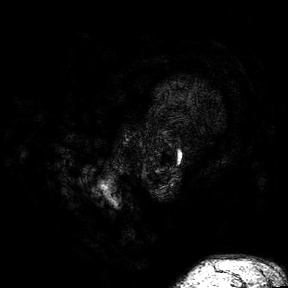
Summary: 3 Tesla brain MRI. Series: 3D T1-weighted turbo field echo with SENSE. Study: ring-enhancing brain masses.